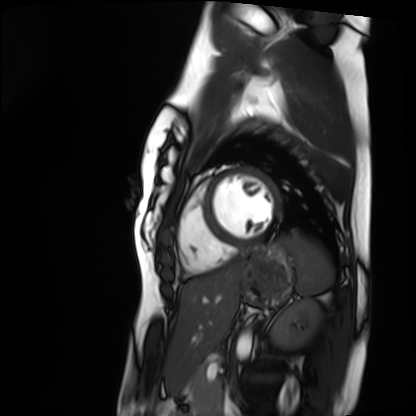
  modality: cardiac MRI
  cohort: healthy volunteer